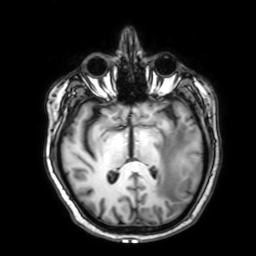
modality: 3 Tesla brain MRI
series: 3D T1-weighted with SENSE
study: ring-enhancing brain masses